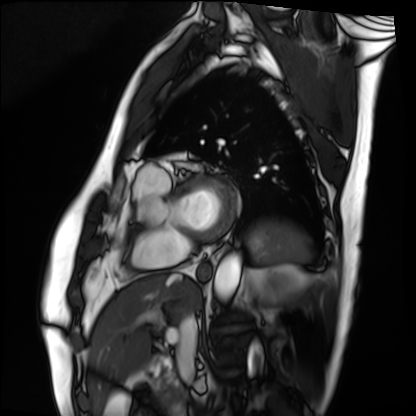
Cardiac MRI. Subject group: patient.